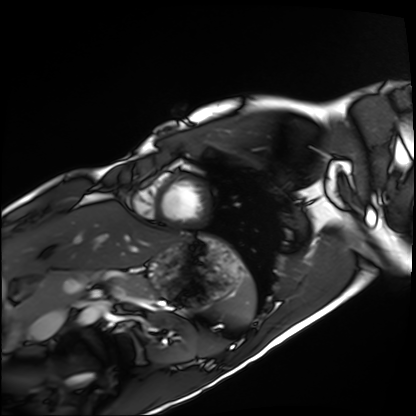
{
  "modality": "cardiac MRI",
  "cohort": "healthy volunteer"
}